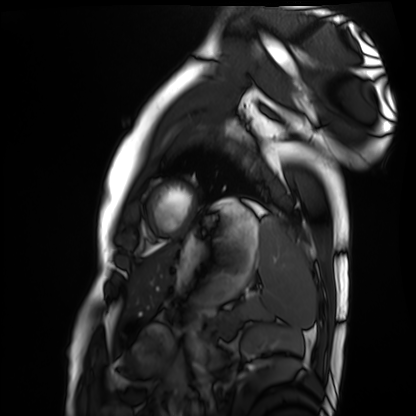
Cardiac MRI.
Subject group: healthy volunteer.